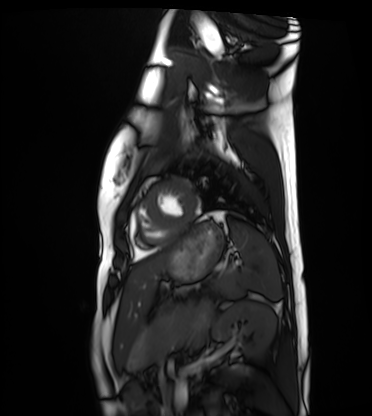
modality = cardiac MRI, subject group = healthy volunteer.